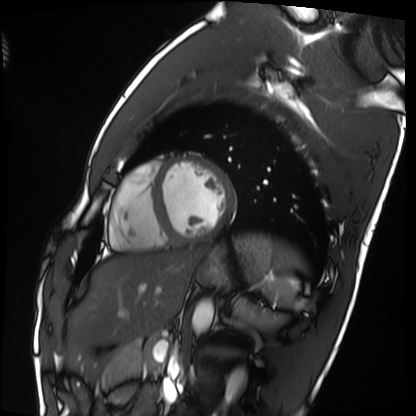
modality: cardiac MRI
subject group: healthy volunteer